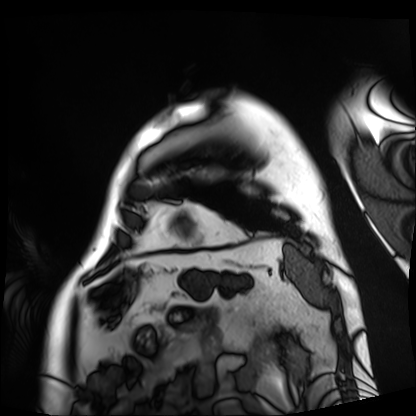
* modality — cardiac MRI
* subject group — patient